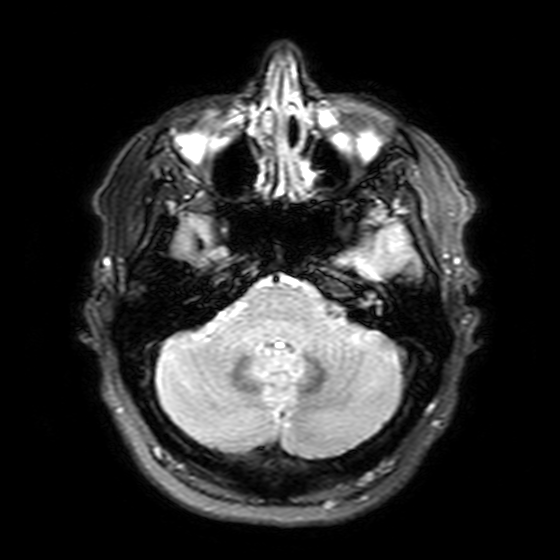
modality: 3 Tesla brain MRI
series: T2-weighted FLAIR
study: ring-enhancing brain masses